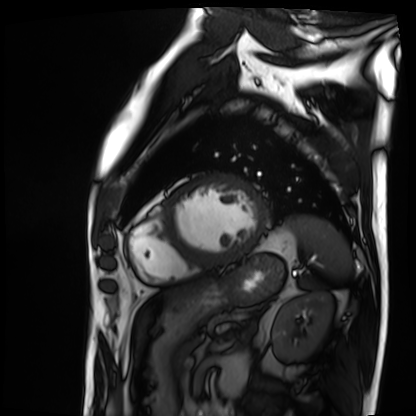
Cardiac MRI. Subject group: patient.